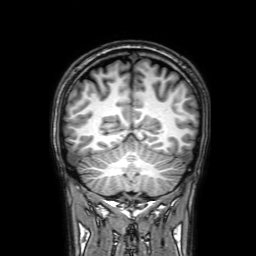
3 Tesla brain MRI. Series: 3D T1-weighted with SENSE. Study: ring-enhancing brain masses.